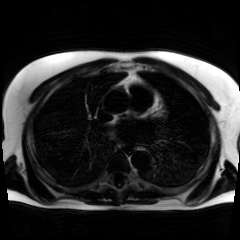
Case:
- modality · chemical-shift-encoded cardiac MRI